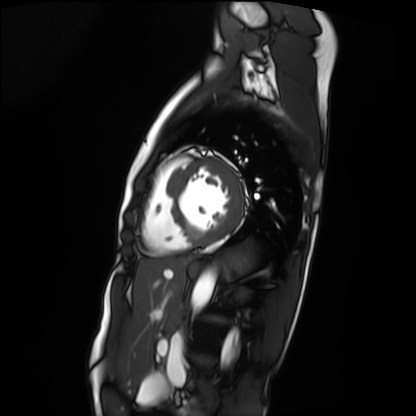
Cardiac MRI.
Subject group: patient.